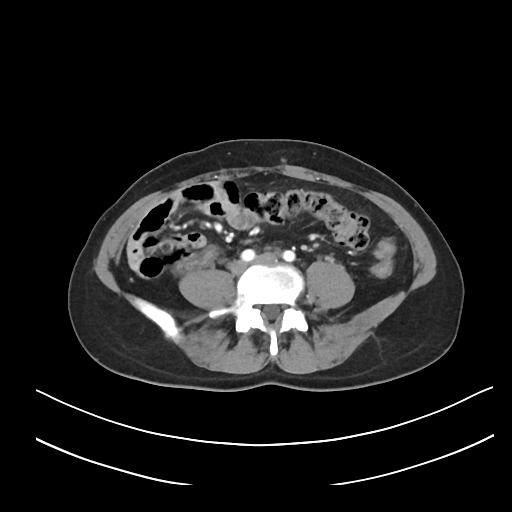
<record>
  <modality>
    <type>multiphase abdominal CT</type>
    <region>liver</region>
    <phase>arterial</phase>
  </modality>
  <patient>
    <sex>female</sex>
    <age>37</age>
  </patient>
</record>